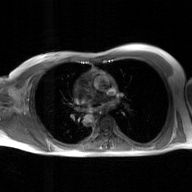
Summary: 2D phase-contrast cine MRI of the ascending aorta, GAN super-resolution reconstruction.